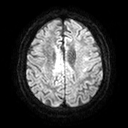
{
  "modality": {
    "type": "brain MRI",
    "field_strength": "3T"
  },
  "series": "diffusion tensor imaging (medium iso)",
  "study_topic": "ring-enhancing brain masses"
}